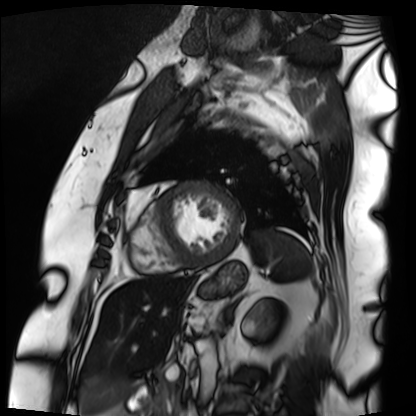
  modality: cardiac MRI
  cohort: patient